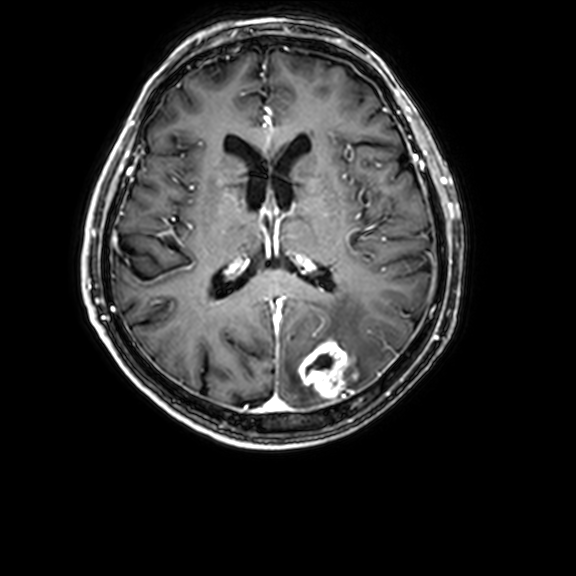
modality:
  type: brain MRI
  field_strength: 3T
series: 3D T1-weighted with CLEAR
study_topic: ring-enhancing brain masses